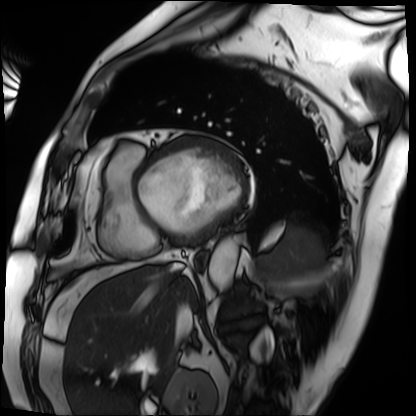
Summary: Cardiac MRI. Subject group: patient.